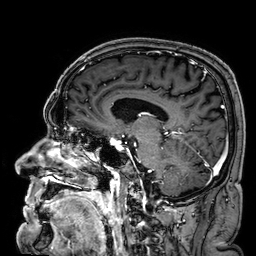
3 Tesla brain MRI. Series: 3D T1-weighted. Study: ring-enhancing brain masses.